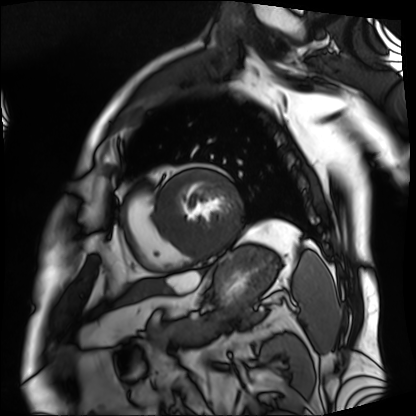
<scan>
<modality>cardiac MRI</modality>
<cohort>patient</cohort>
</scan>